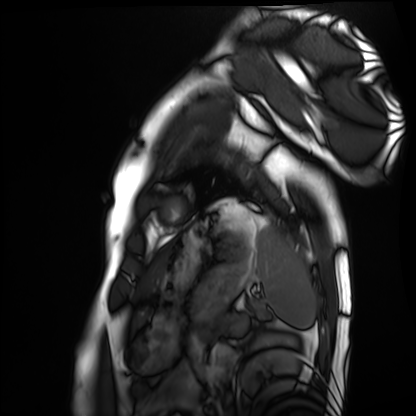
| field | value |
|---|---|
| modality | cardiac MRI |
| subject group | healthy volunteer |